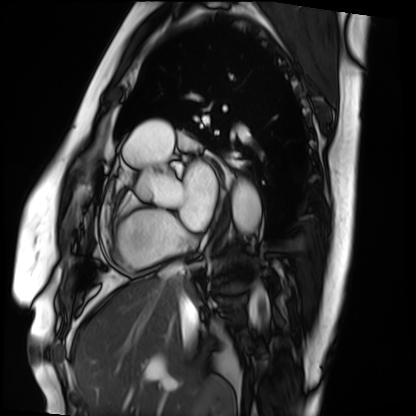
Cardiac MRI. Subject group: patient.